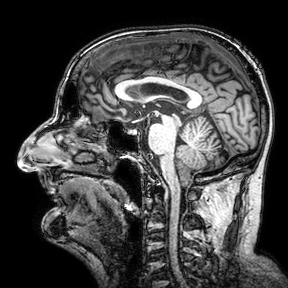
3 Tesla brain MRI. Series: 3D T1-weighted turbo field echo with SENSE. Study: ring-enhancing brain masses.